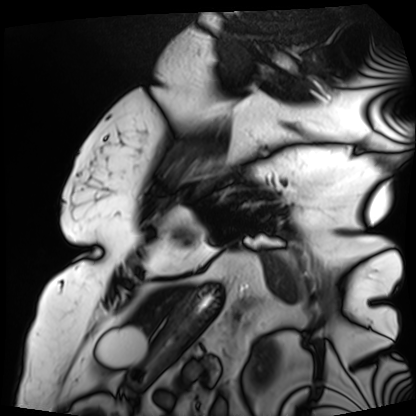
– modality · cardiac MRI
– subject group · patient